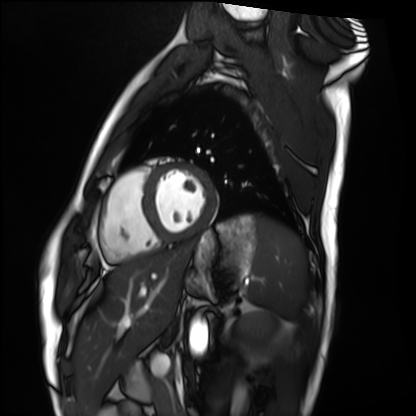
Clinical context: Cardiac MRI. Subject group: healthy volunteer.